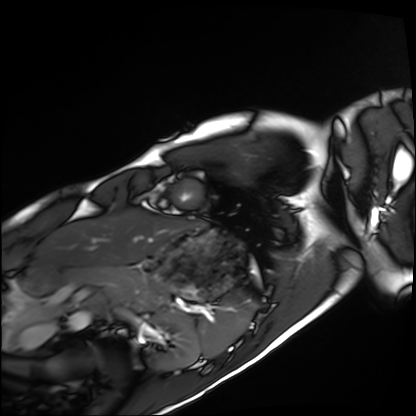
Cardiac MRI.
Subject group: healthy volunteer.